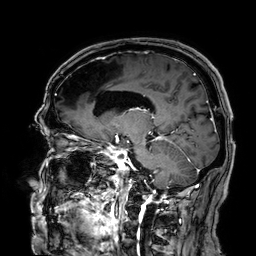
3 Tesla brain MRI. Series: 3D T1-weighted. Study: ring-enhancing brain masses.